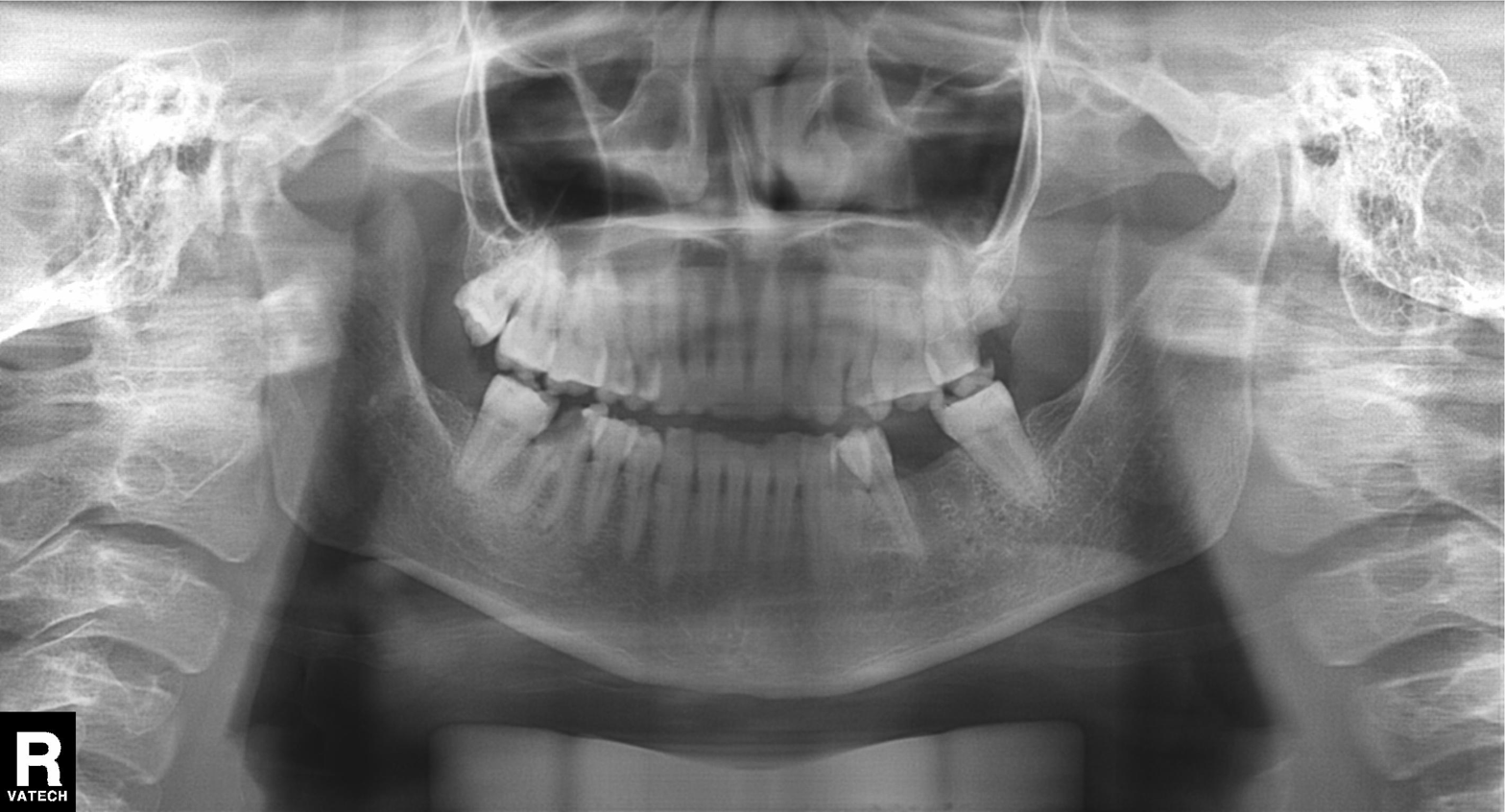
modality: panoramic dental radiograph (orthopantomogram)
finding: alveolar bone loss